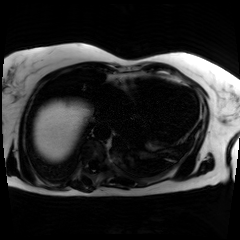
modality = chemical-shift-encoded cardiac MRI.